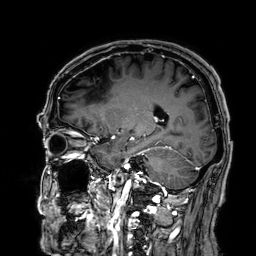
Case summary: 3 Tesla brain MRI. Series: 3D T1-weighted. Study: ring-enhancing brain masses.